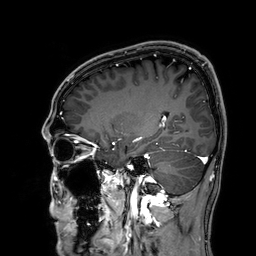
Q: What kind of scan is this?
A: 3 Tesla brain MRI.
Q: Series?
A: 3D T1-weighted.
Study: ring-enhancing brain masses.